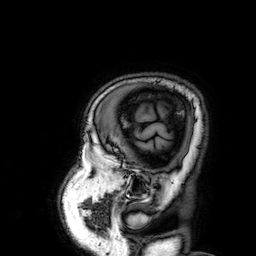
3 Tesla brain MRI.
Series: 3D T1-weighted.
Study: ring-enhancing brain masses.